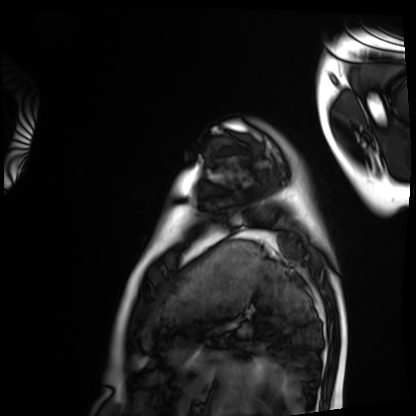
Cardiac MRI.
Subject group: healthy volunteer.